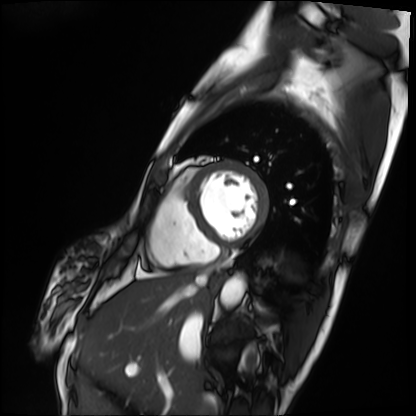
{
  "modality": "cardiac MRI",
  "cohort": "patient"
}